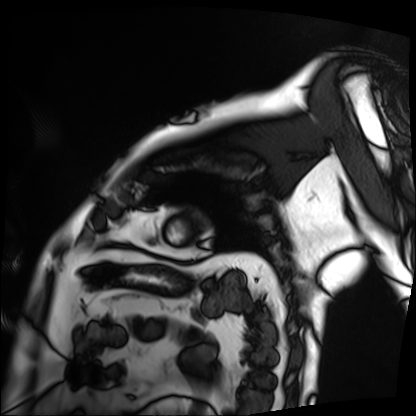
Cardiac MRI.
Subject group: patient.